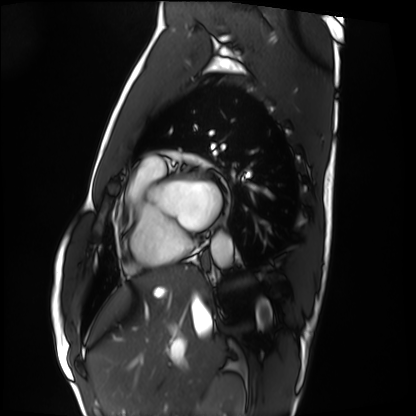
modality = cardiac MRI, subject group = healthy volunteer.